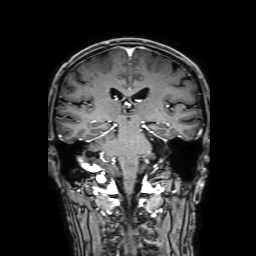
3 Tesla brain MRI.
Study: ring-enhancing brain masses.